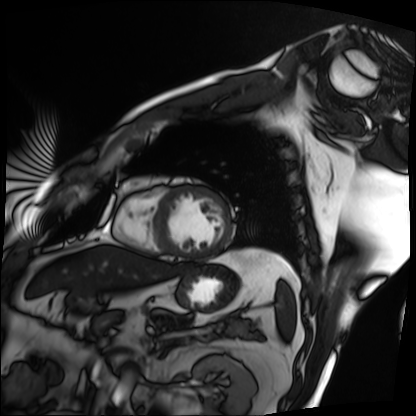
Cardiac MRI. Subject group: patient.